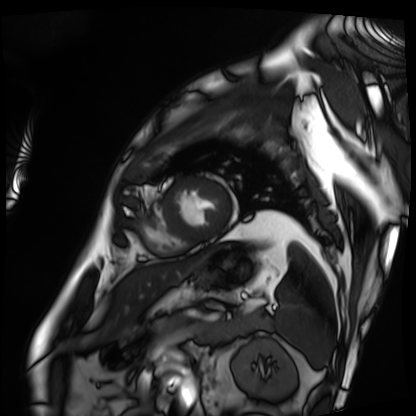
Cardiac MRI. Subject group: patient.